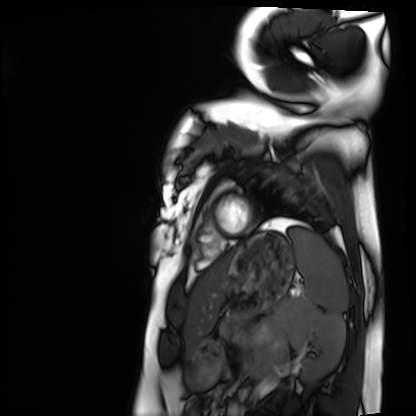
modality = cardiac MRI | subject group = healthy volunteer.